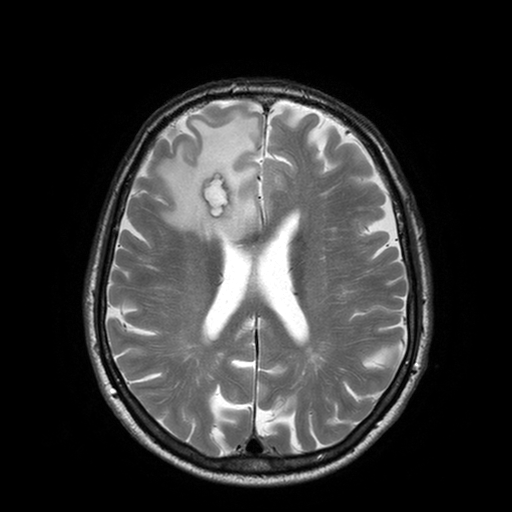
modality: 3 Tesla brain MRI; series: T2-weighted turbo spin echo with SENSE; study: ring-enhancing brain masses.